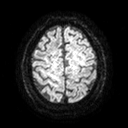
modality=3 Tesla brain MRI | series=diffusion tensor imaging (medium iso) | study=ring-enhancing brain masses.